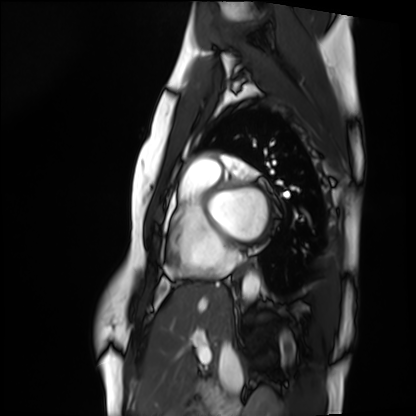
– modality — cardiac MRI
– subject group — healthy volunteer